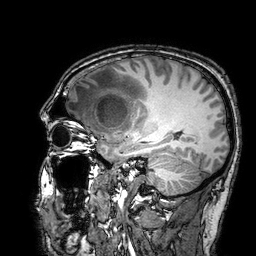
Case summary: 3 Tesla brain MRI. Series: 3D T1-weighted turbo field echo with SENSE. Study: ring-enhancing brain masses.